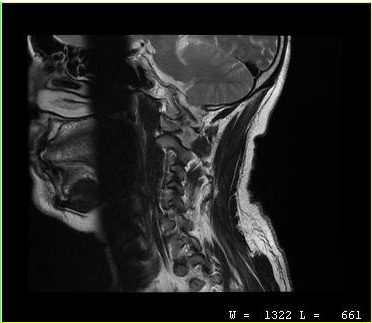
MRI of the cervical spine. Study: cervical spondylosis.